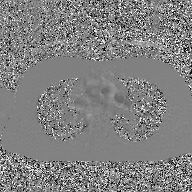
Summary: 2D phase-contrast cine MRI of the ascending aorta, GAN super-resolution reconstruction.